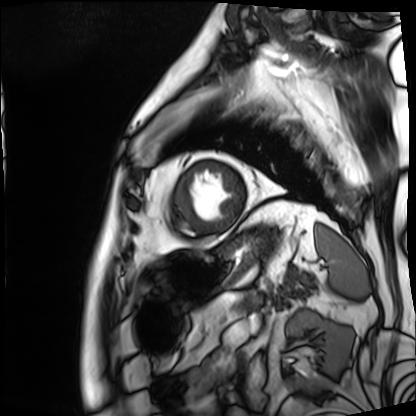
Summary:
Cardiac MRI. Subject group: patient.